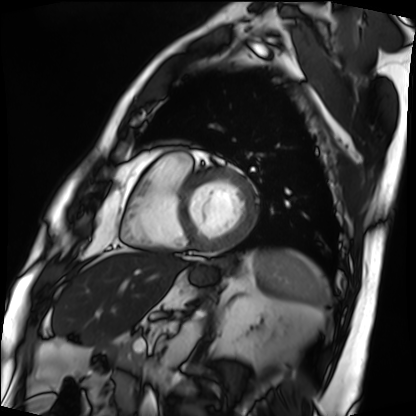
{
  "modality": "cardiac MRI",
  "cohort": "patient"
}